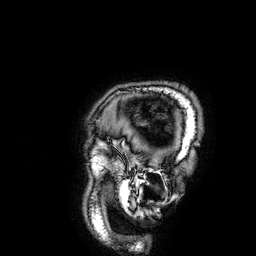
Summary:
3 Tesla brain MRI. Series: 3D T1-weighted. Study: ring-enhancing brain masses.